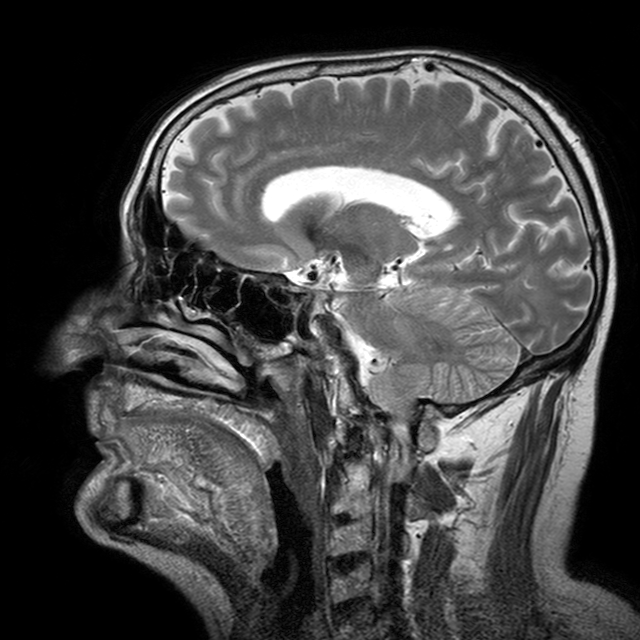
3 Tesla brain MRI. Series: T2-weighted turbo spin echo with CLEAR. Study: ring-enhancing brain masses.